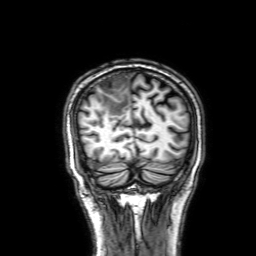
Q: What kind of scan is this?
A: 3 Tesla brain MRI.
Q: Series?
A: 3D T1-weighted with SENSE.
Study: ring-enhancing brain masses.